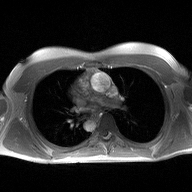
modality:
  type: 2D phase-contrast cine MRI
  region: ascending aorta
  reconstruction: high-resolution GRAPPA acquisition